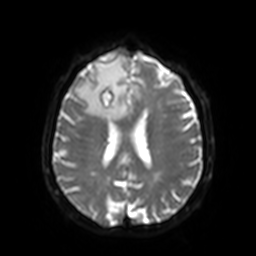
Q: What kind of scan is this?
A: 3 Tesla brain MRI.
Q: Series?
A: Diffusion-weighted imaging with SENSE (WIP).
Study: ring-enhancing brain masses.